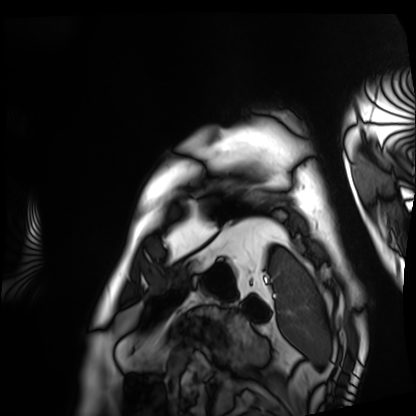
Cardiac MRI. Subject group: patient.